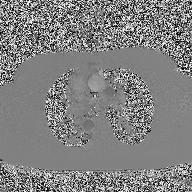
Q: What kind of scan is this?
A: 2D phase-contrast cine MRI of the ascending aorta.